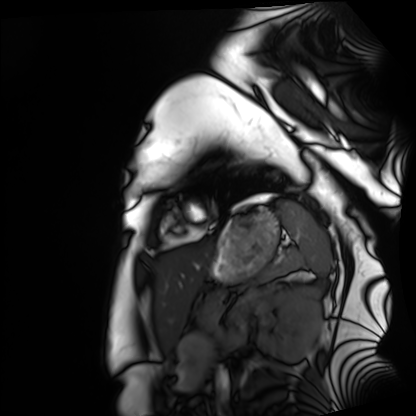
Case summary:
Cardiac MRI. Subject group: healthy volunteer.